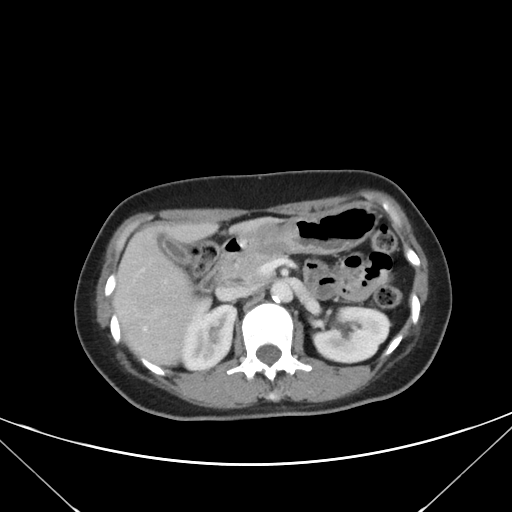
Multiphase abdominal CT, liver, portal venous phase. Patient: female, age 45. History: prior chemotherapy.